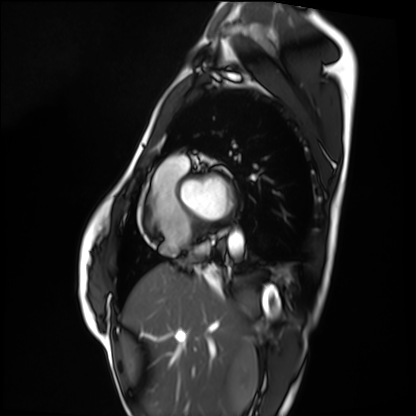
modality: cardiac MRI
cohort: healthy volunteer